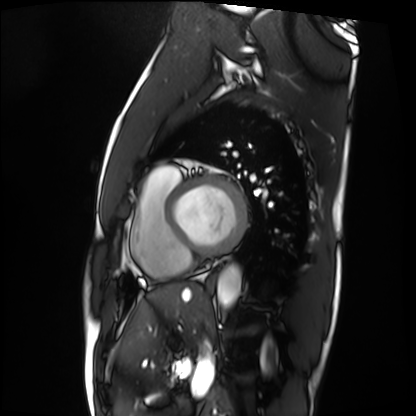
Summary:
Cardiac MRI. Subject group: patient.